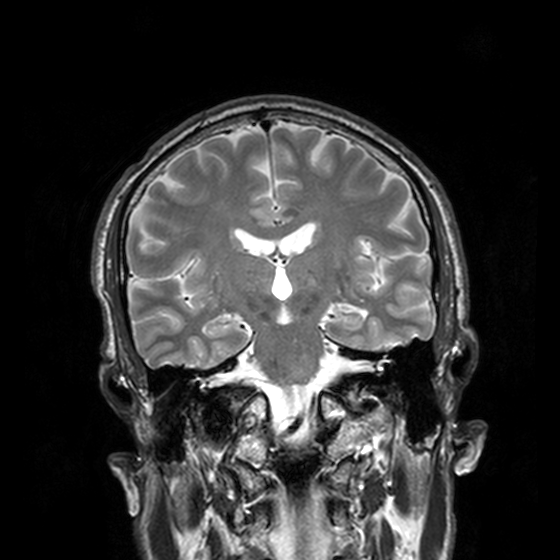
3 Tesla brain MRI. Series: T2-weighted turbo spin echo, 3 mm. Study: ring-enhancing brain masses.